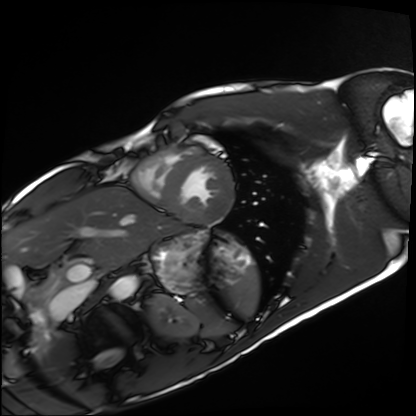
<study>
<modality>cardiac MRI</modality>
<cohort>healthy volunteer</cohort>
</study>